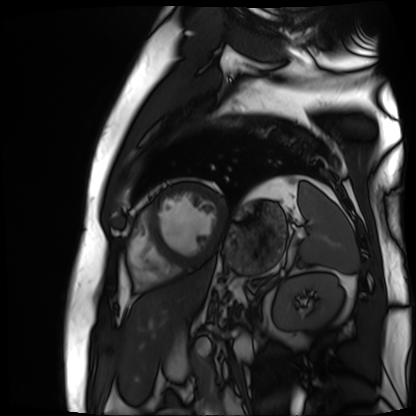
Clinical context:
Cardiac MR image of the myocardium. Subject cohort: cardiac patient.